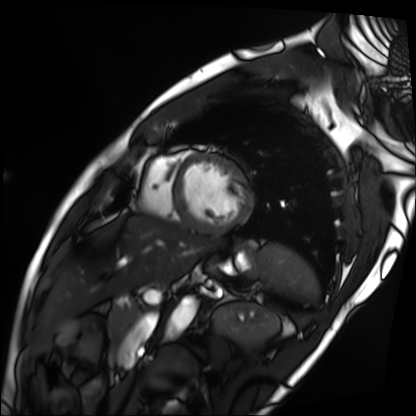
Cardiac MRI. Subject group: patient.